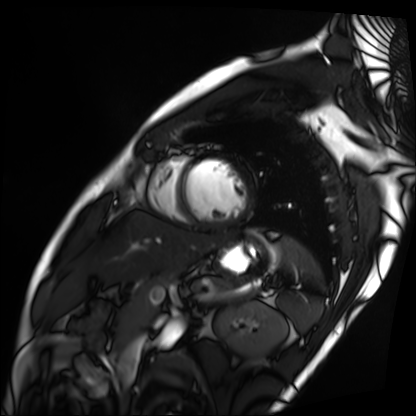
Q: What kind of scan is this?
A: Cardiac MRI.
Subject group: patient.